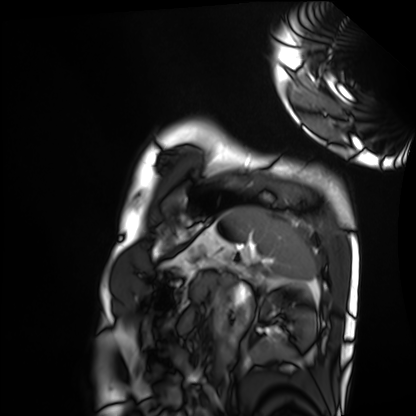
Cardiac MRI. Subject group: healthy volunteer.